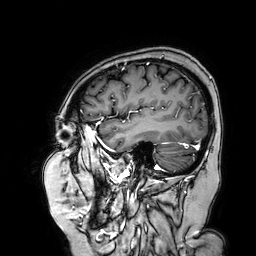
<study>
  <modality>
    <type>brain MRI</type>
    <field_strength>3T</field_strength>
  </modality>
  <series>3D T1-weighted turbo field echo with SENSE</series>
  <study_topic>ring-enhancing brain masses</study_topic>
</study>